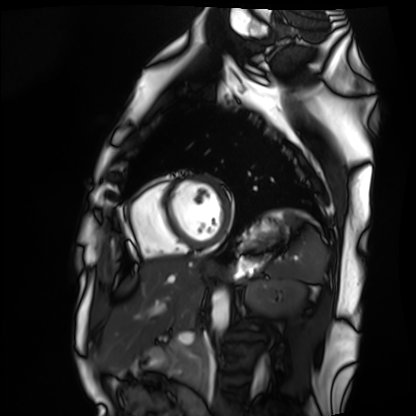
{
  "modality": "cardiac MRI",
  "cohort": "healthy volunteer"
}